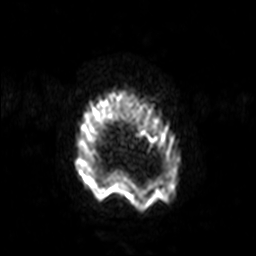
3 Tesla brain MRI. Series: diffusion-weighted imaging with SENSE (WIP). Study: ring-enhancing brain masses.